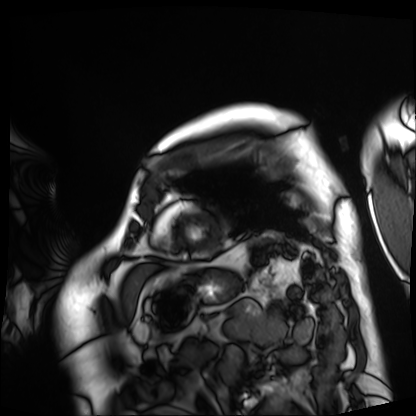
Cardiac MRI. Subject group: patient.